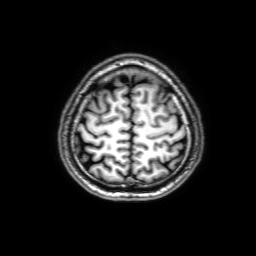
3 Tesla brain MRI. Series: 3D T1-weighted with SENSE. Study: ring-enhancing brain masses.